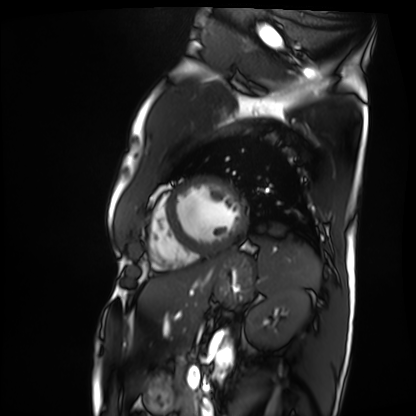
Cardiac MRI.
Subject group: patient.